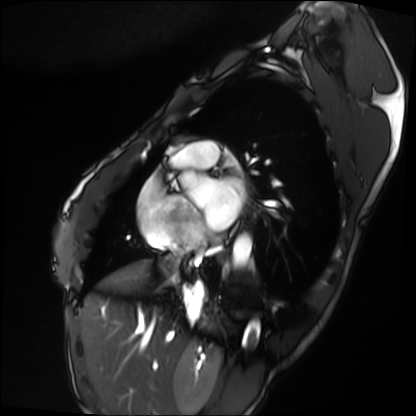
Cardiac MRI. Subject group: patient.